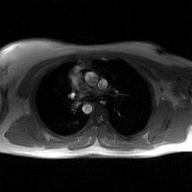
Summary:
2D phase-contrast cine MRI of the ascending aorta, GAN super-resolution reconstruction.